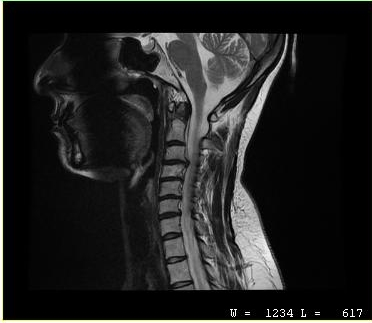
  modality:
    type: cervical spine MRI
  study_topic: cervical spondylosis